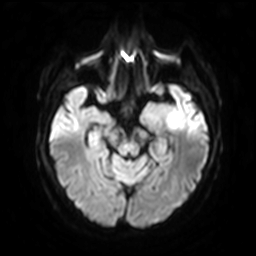
3 Tesla brain MRI. Series: diffusion-weighted imaging with SENSE (WIP). Study: ring-enhancing brain masses.